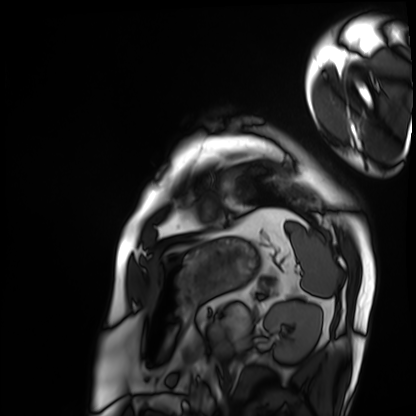
Cardiac MRI. Subject group: patient.